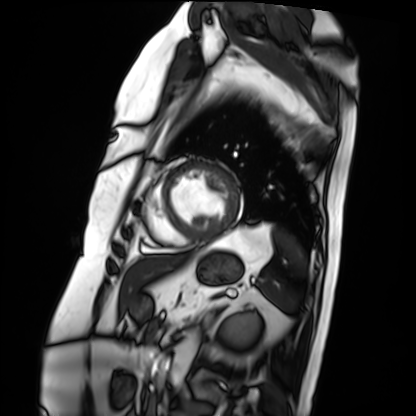
• modality: cardiac MRI
• subject group: patient